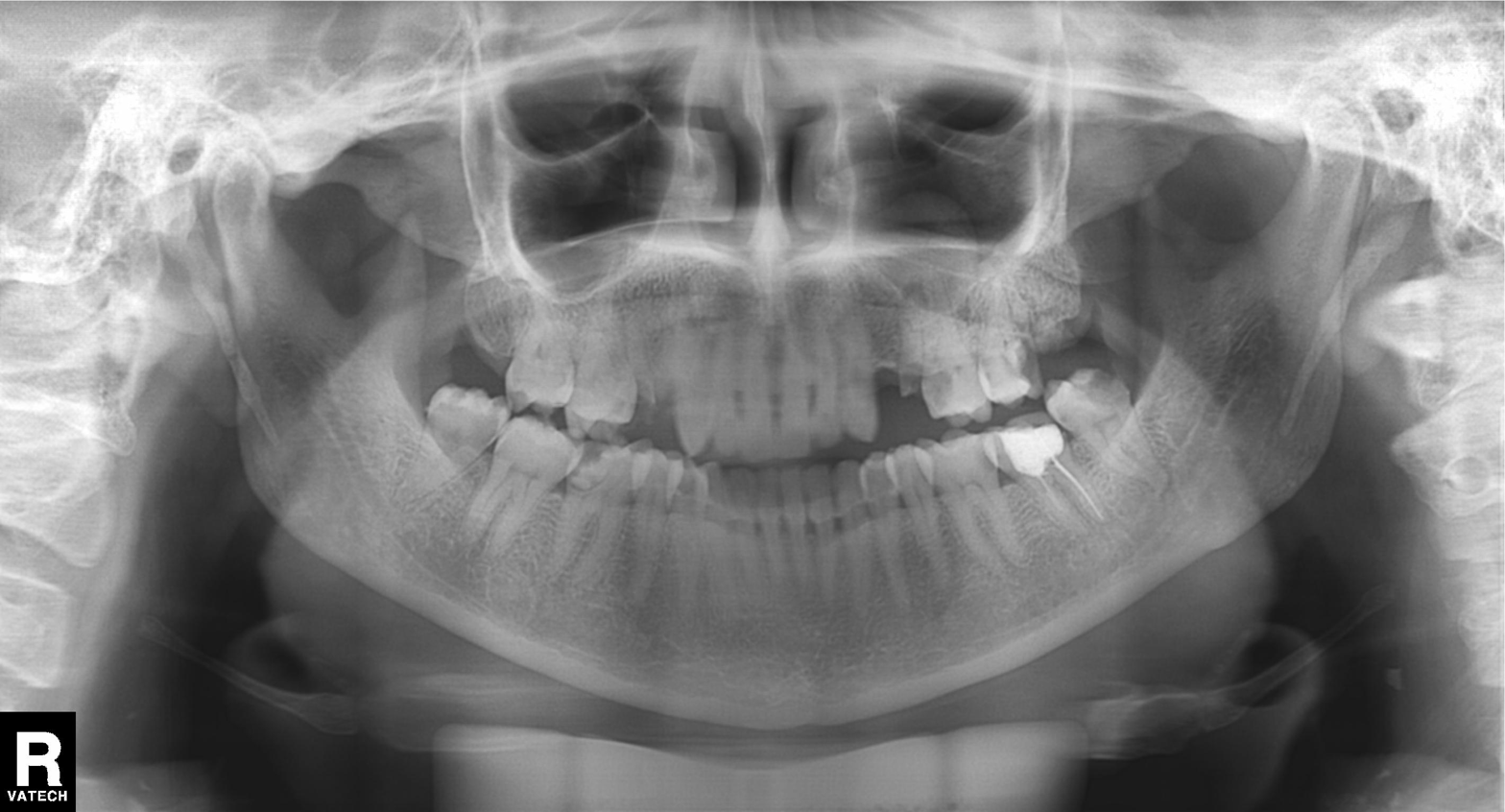
  modality: panoramic dental radiograph (orthopantomogram)
  finding: dental caries (cavities)